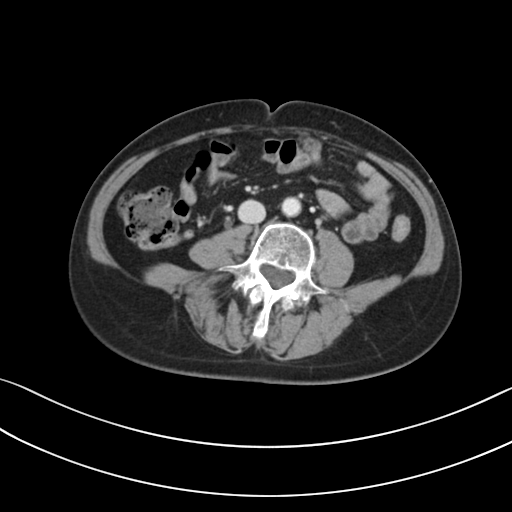
Multiphase abdominal CT, liver, portal venous phase.